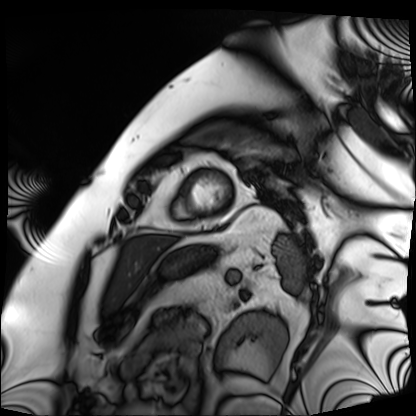
<study>
<modality>cardiac MRI</modality>
<cohort>patient</cohort>
</study>